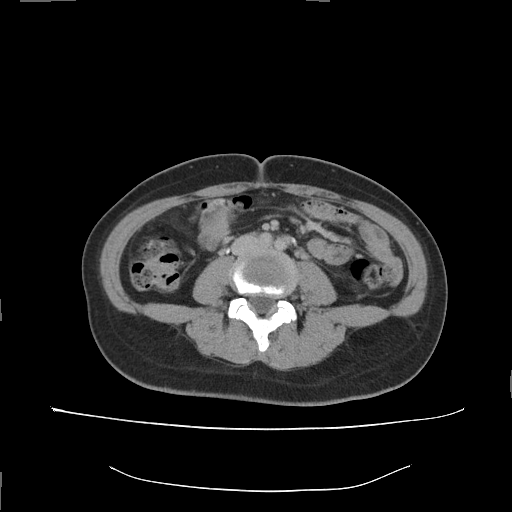
Multiphase abdominal CT, liver, delayed phase.
Patient: female, age 34.
History: prior chemotherapy.